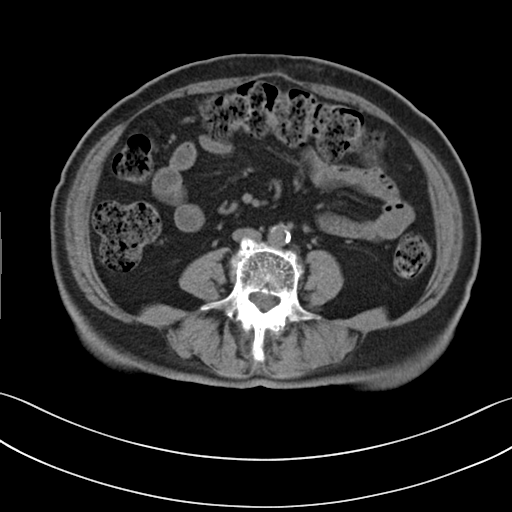
Multiphase abdominal CT, liver, non-contrast phase. Patient: female, age 72.